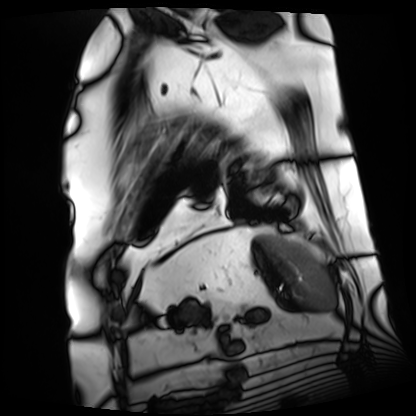
modality: cardiac MRI
cohort: patient